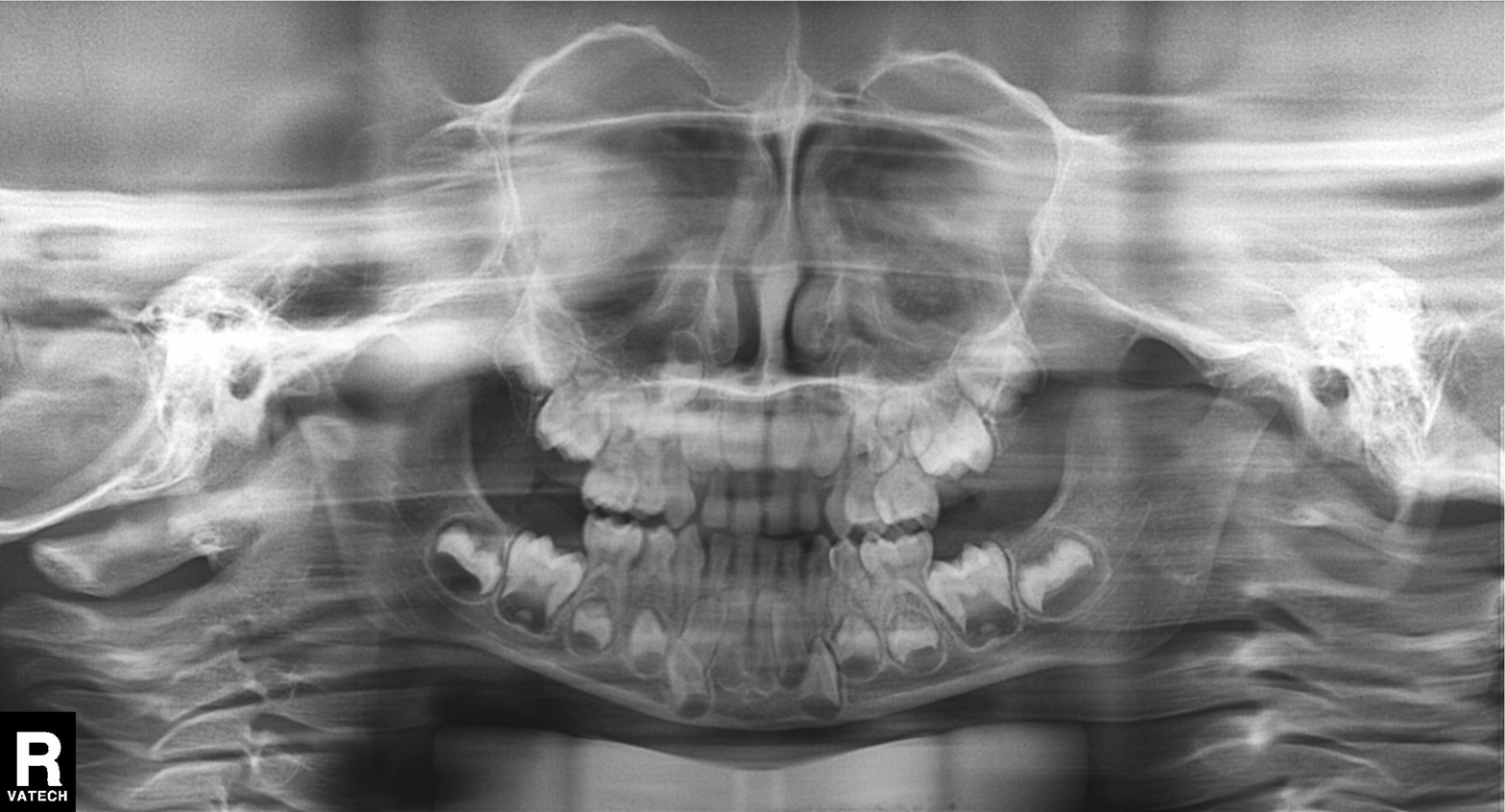
Summary:
Panoramic dental radiograph (orthopantomogram).
Impression:
Tooth impaction.